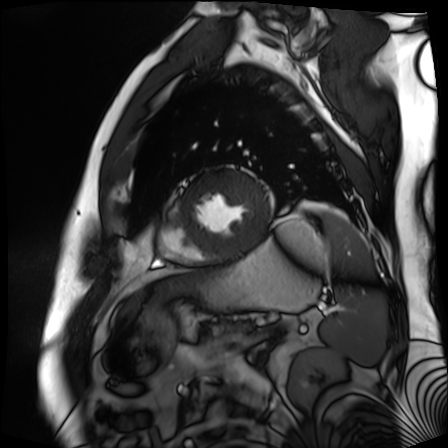
Cardiac MR image of the myocardium.
Subject cohort: cardiac patient.